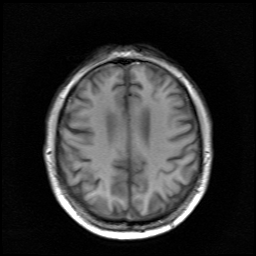
Case summary:
3 Tesla brain MRI. Series: survey. Study: ring-enhancing brain masses.